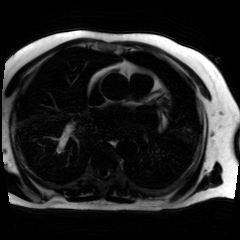
Clinical context: Chemical-shift-encoded cardiac MRI.